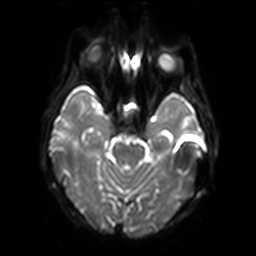
3 Tesla brain MRI.
Series: diffusion-weighted imaging with SENSE (WIP).
Study: ring-enhancing brain masses.